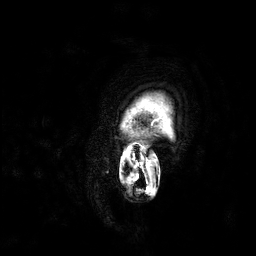
3 Tesla brain MRI.
Series: 3D T1-weighted.
Study: ring-enhancing brain masses.